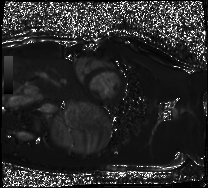
modality: cardiac MRI
subject group: healthy volunteer